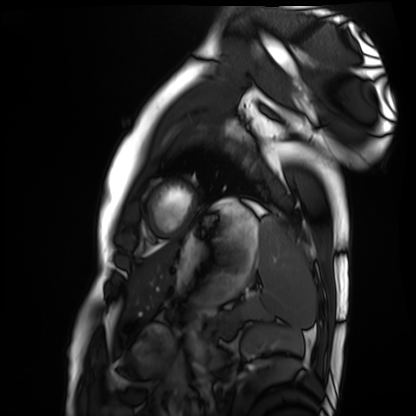
Clinical context:
Cardiac MRI. Subject group: healthy volunteer.